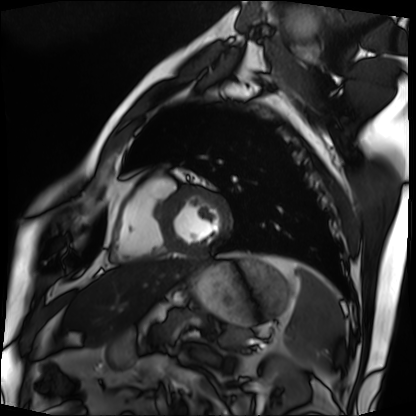
modality = cardiac MRI | subject group = patient.